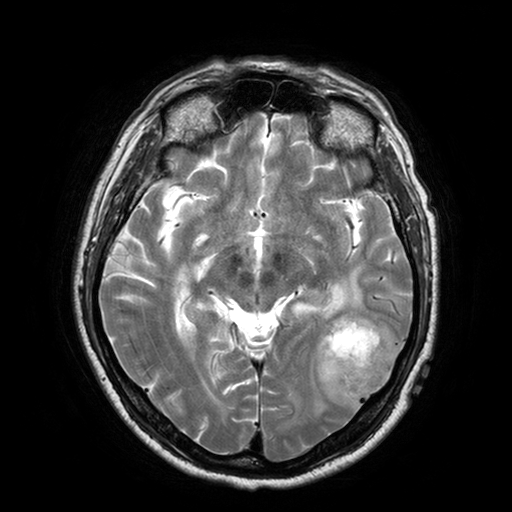
Q: What kind of scan is this?
A: 3 Tesla brain MRI.
Q: Series?
A: T2-weighted turbo spin echo with SENSE.
Study: ring-enhancing brain masses.